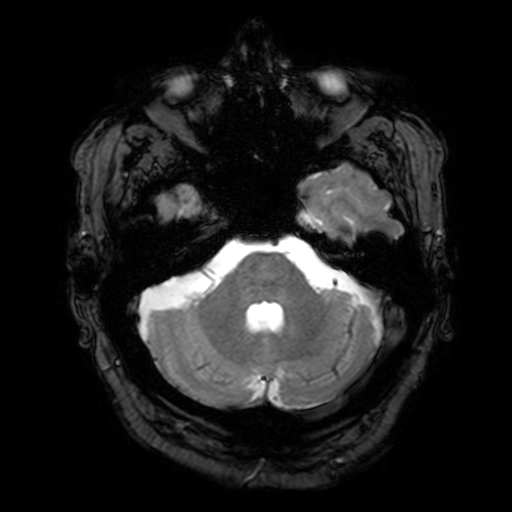
Q: What kind of scan is this?
A: 3 Tesla brain MRI.
Q: Series?
A: T2-weighted fast field echo with SENSE.
Study: ring-enhancing brain masses.